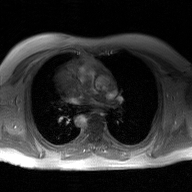
Case:
• modality — 2D phase-contrast cine MRI of the ascending aorta, GAN super-resolution reconstruction